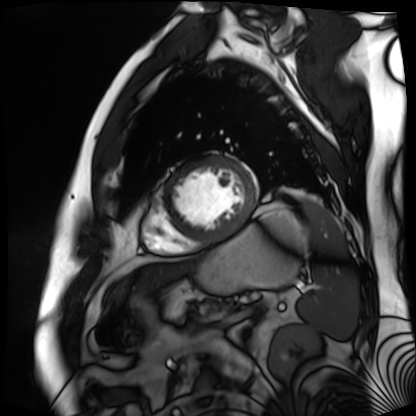
Clinical context:
Cardiac MR image of the myocardium. Subject cohort: cardiac patient.